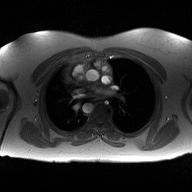
Q: What kind of scan is this?
A: 2D phase-contrast cine MRI of the ascending aorta.